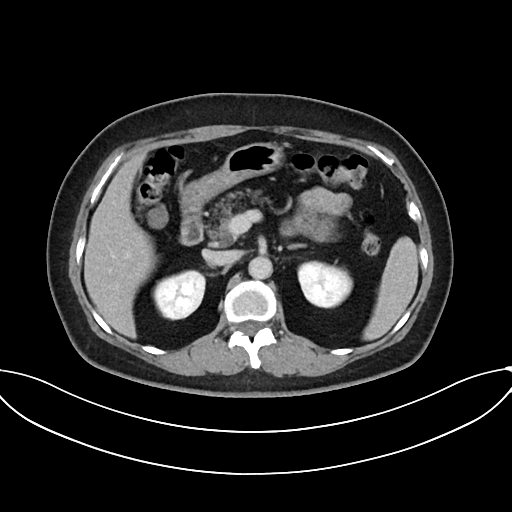
Multiphase abdominal CT, liver, delayed phase. Patient: female, age 58.